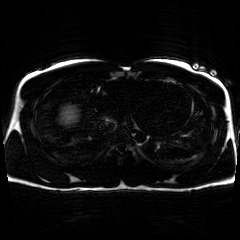
{"modality": "chemical-shift-encoded cardiac MRI"}